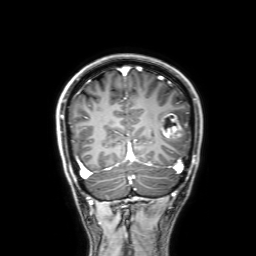
3 Tesla brain MRI.
Series: 3D T1-weighted with SENSE.
Study: ring-enhancing brain masses.